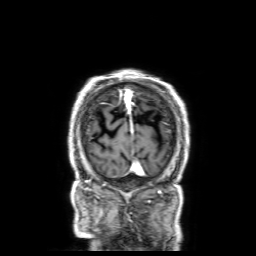
Q: What kind of scan is this?
A: 3 Tesla brain MRI.
Q: Series?
A: 3D T1-weighted with SENSE.
Study: ring-enhancing brain masses.